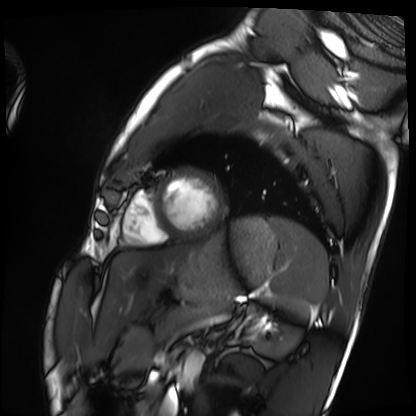
modality: cardiac MRI; subject group: healthy volunteer.